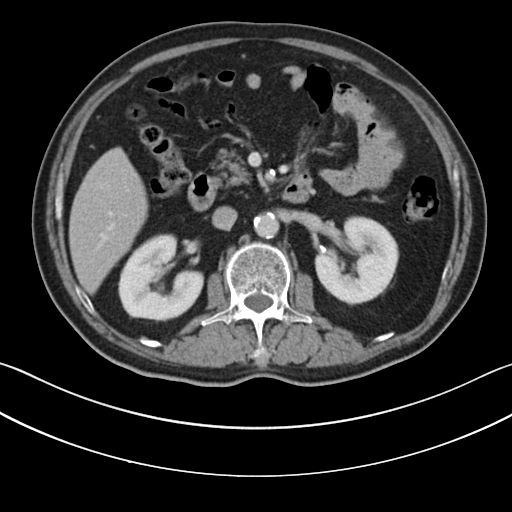
modality: multiphase abdominal CT, liver, portal venous phase | patient: male, age 63.